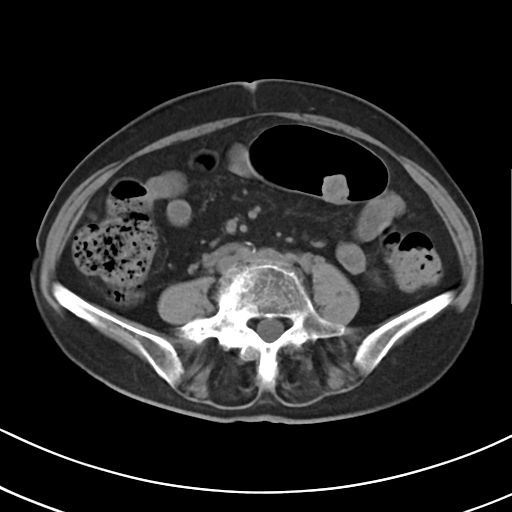
modality: multiphase abdominal CT, liver, non-contrast phase; patient: female, age 71.